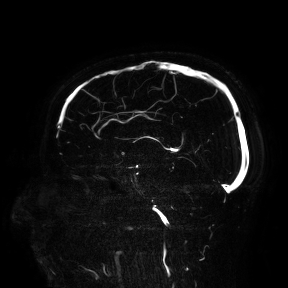
Q: What kind of scan is this?
A: 3 Tesla brain MRI.
Study: ring-enhancing brain masses.